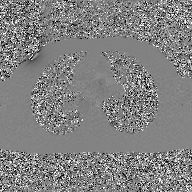
| field | value |
|---|---|
| modality | 2D phase-contrast cine MRI of the ascending aorta, GAN super-resolution reconstruction |